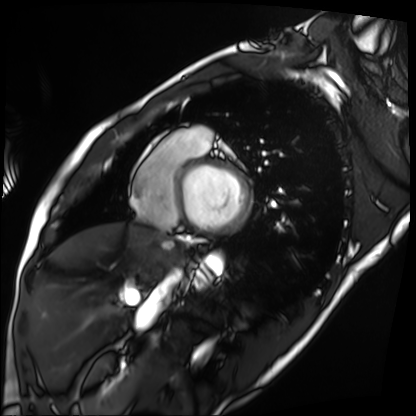
Q: What kind of scan is this?
A: Cardiac MRI.
Subject group: patient.